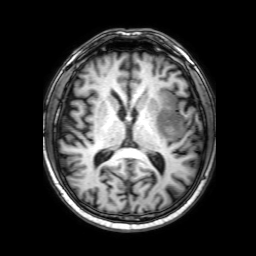
Summary:
3 Tesla brain MRI. Series: 3D T1-weighted with SENSE. Study: ring-enhancing brain masses.